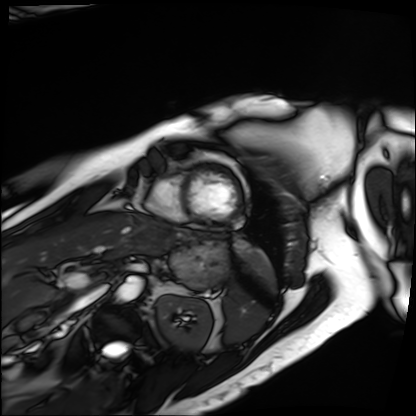
Cardiac MRI.
Subject group: patient.